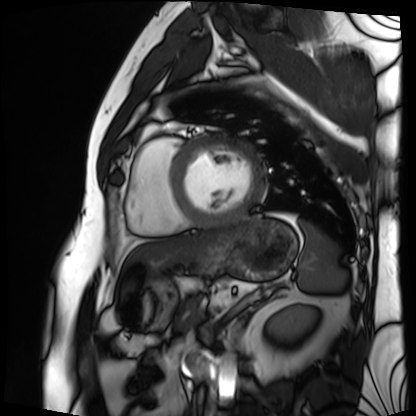
modality = cardiac MRI | subject group = patient.